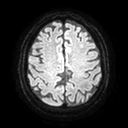
modality — 3 Tesla brain MRI; series — diffusion tensor imaging (medium iso); study — ring-enhancing brain masses.